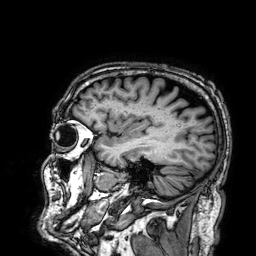
Case summary: 3 Tesla brain MRI. Series: 3D T1-weighted. Study: ring-enhancing brain masses.